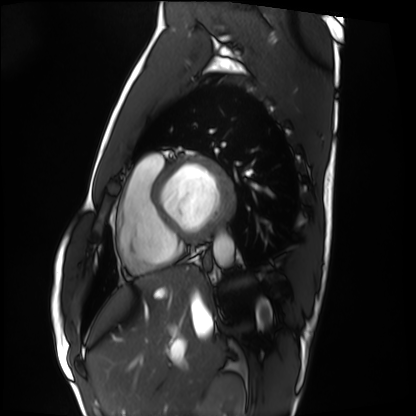
Cardiac MRI. Subject group: healthy volunteer.